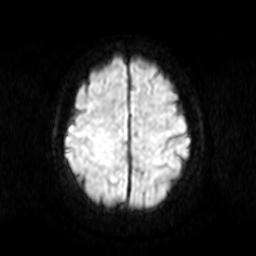
modality: 3 Tesla brain MRI
series: diffusion-weighted imaging
study: ring-enhancing brain masses